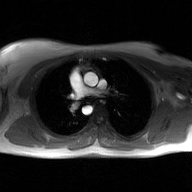
2D phase-contrast cine MRI of the ascending aorta, GAN super-resolution reconstruction.